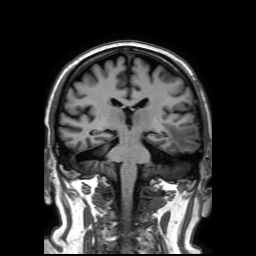
3 Tesla brain MRI. Series: 3D T1-weighted TFE with SENSE. Study: ring-enhancing brain masses.